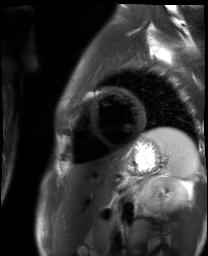
Case:
- modality — cardiac MR image of the myocardium
- subject cohort — healthy volunteer